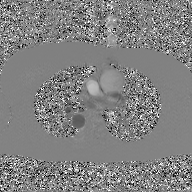
modality: 2D phase-contrast cine MRI of the ascending aorta, GAN super-resolution reconstruction.